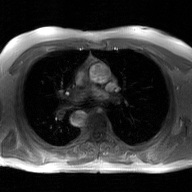
Summary: 2D phase-contrast cine MRI of the ascending aorta, GAN super-resolution reconstruction.